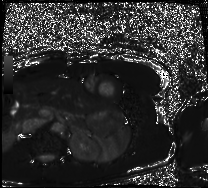
modality — cardiac MRI
subject group — healthy volunteer